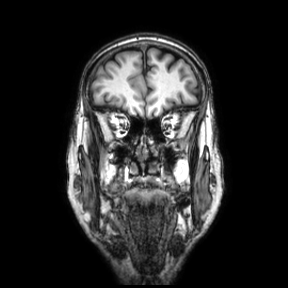
Clinical context:
3 Tesla brain MRI. Series: coronal. Study: ring-enhancing brain masses.